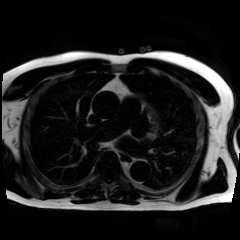
<case>
<modality>chemical-shift-encoded cardiac MRI</modality>
</case>